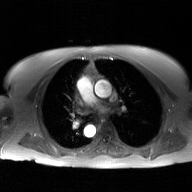
<case>
<modality>
  <type>2D phase-contrast cine MRI</type>
  <region>ascending aorta</region>
  <reconstruction>GAN super-resolution reconstruction</reconstruction>
</modality>
</case>